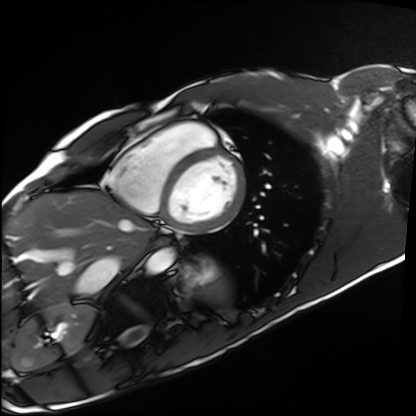
Cardiac MRI. Subject group: healthy volunteer.